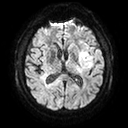
Clinical context: 3 Tesla brain MRI. Study: ring-enhancing brain masses.